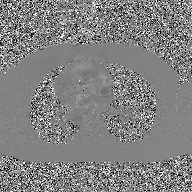
Case summary:
2D phase-contrast cine MRI of the ascending aorta, GAN super-resolution reconstruction.